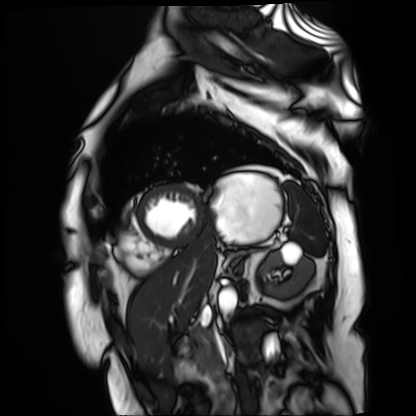
Summary:
Cardiac MR image of the myocardium. Subject cohort: cardiac patient.